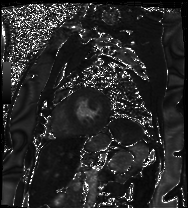
{
  "modality": "cardiac MRI",
  "cohort": "patient"
}